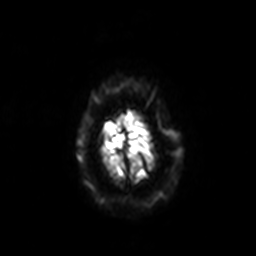
{
  "modality": {
    "type": "brain MRI",
    "field_strength": "3T"
  },
  "series": "diffusion-weighted imaging with SENSE (WIP)",
  "study_topic": "ring-enhancing brain masses"
}